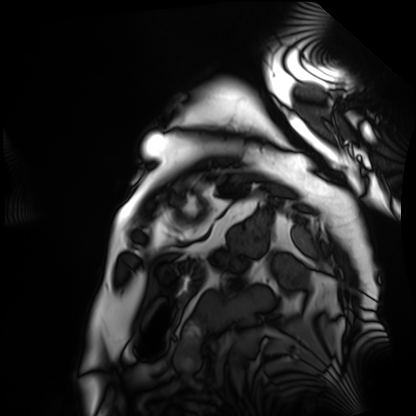
<scan>
<modality>cardiac MRI</modality>
<cohort>patient</cohort>
</scan>